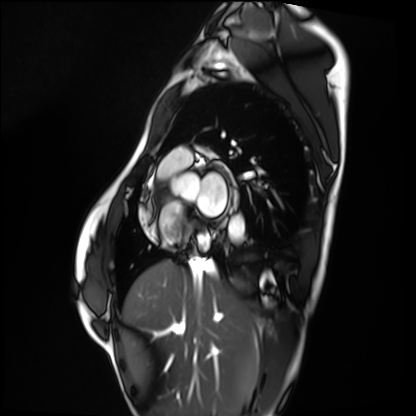
Q: What kind of scan is this?
A: Cardiac MRI.
Subject group: healthy volunteer.